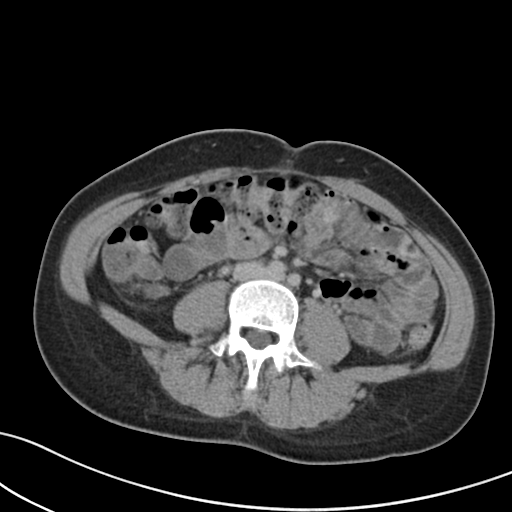
modality=multiphase abdominal CT, liver, delayed phase
patient=female, age 37
history=prior chemotherapy